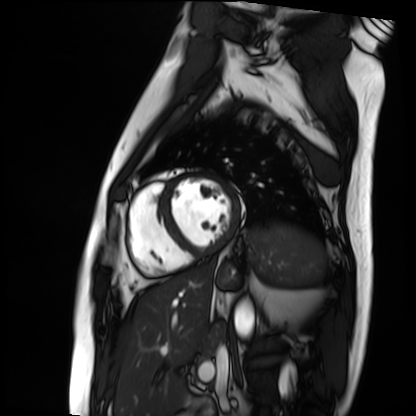
modality: cardiac MRI
subject group: patient